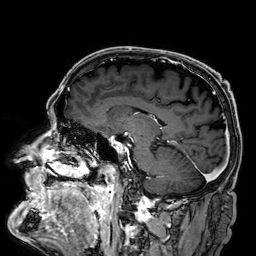
3 Tesla brain MRI.
Series: 3D T1-weighted.
Study: ring-enhancing brain masses.